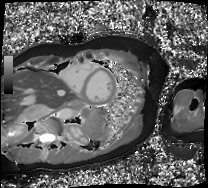
– modality · cardiac MRI
– subject group · patient